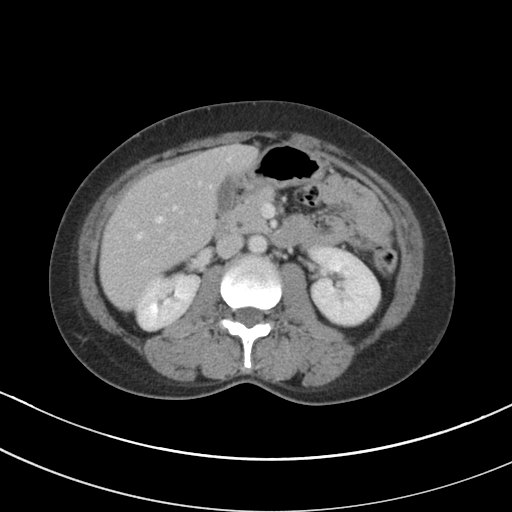
- modality · multiphase abdominal CT, liver, portal venous phase
- patient · female, age 41
- history · prior chemotherapy